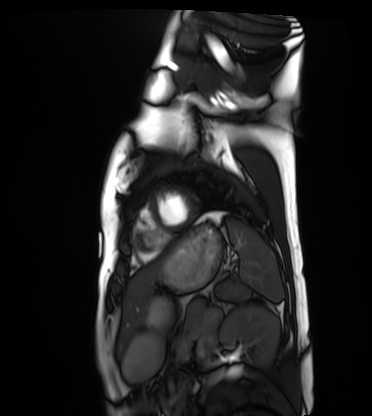
Cardiac MRI. Subject group: healthy volunteer.